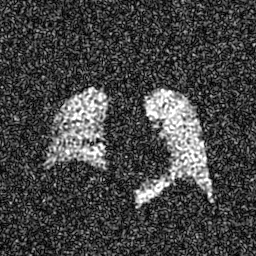
- modality: hyperpolarized 129Xe ventilation MRI of the lungs
- SNR level: 7 of 8 (the deposit holds this scan as its native image and as seven SNR-degraded versions)